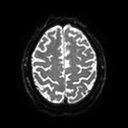
3 Tesla brain MRI. Series: diffusion tensor imaging (medium iso). Study: ring-enhancing brain masses.